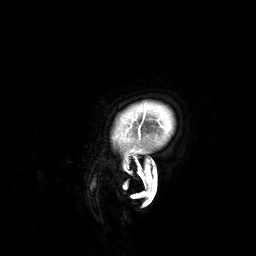
Q: What kind of scan is this?
A: 3 Tesla brain MRI.
Study: ring-enhancing brain masses.